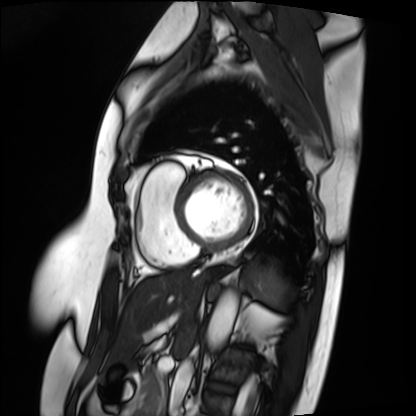
modality = cardiac MRI, subject group = patient.